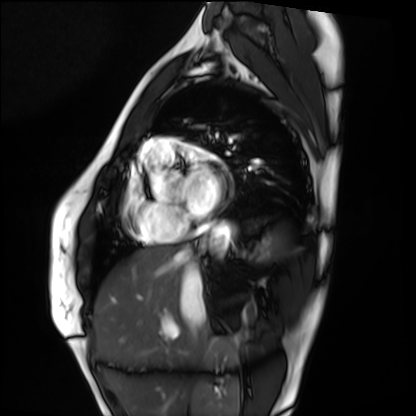
Clinical context:
Cardiac MRI. Subject group: healthy volunteer.